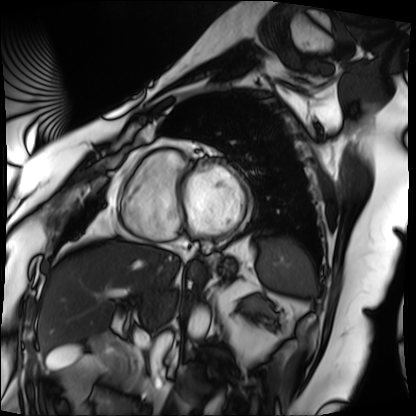
Case summary:
Cardiac MRI. Subject group: patient.